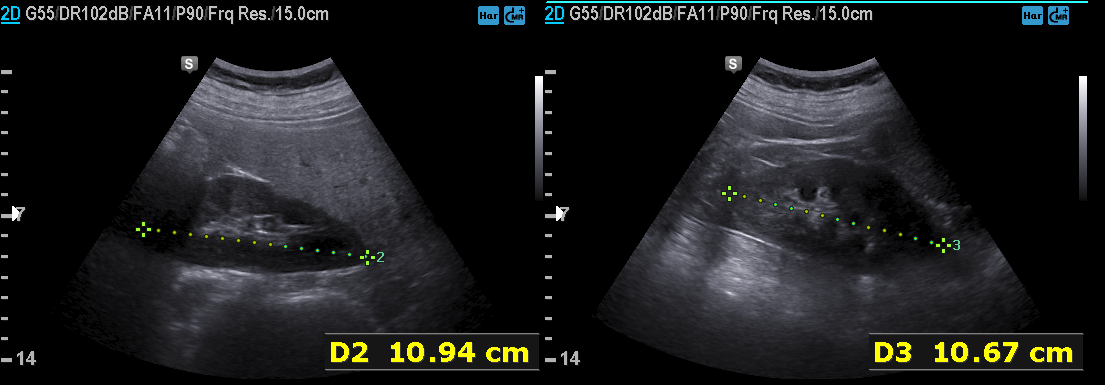
Summary:
Genitourinary ultrasound.